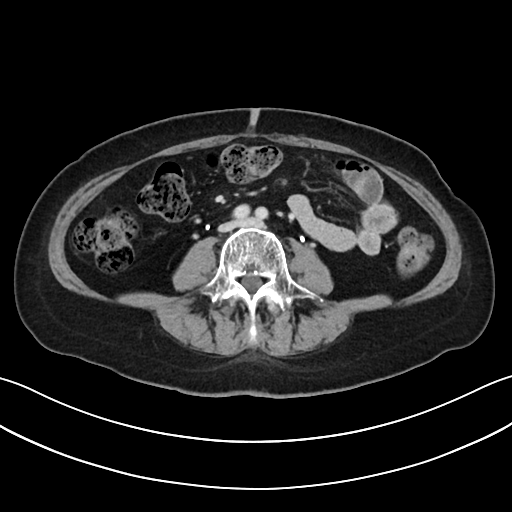
| field | value |
|---|---|
| modality | multiphase abdominal CT, liver, delayed phase |
| patient | female, age 61 |
| history | prior chemotherapy |